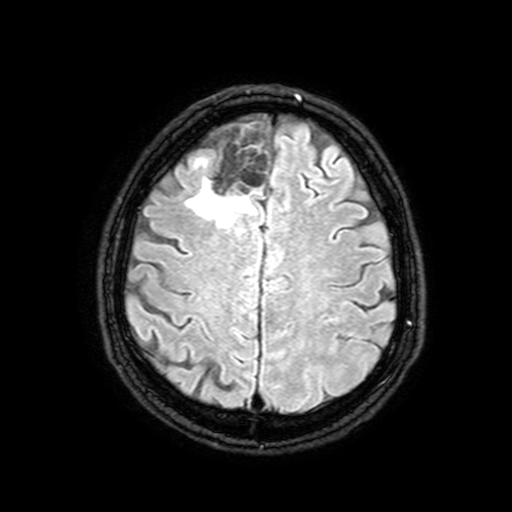
3 Tesla brain MRI.
Series: FLAIR with SPAIR, 3 mm.
Study: ring-enhancing brain masses.